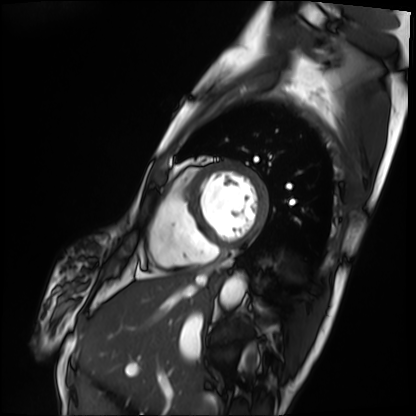
Case:
• modality · cardiac MRI
• subject group · patient